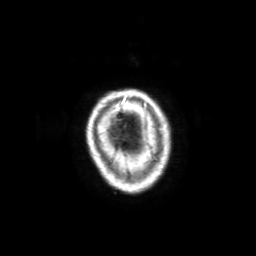
• modality: 3 Tesla brain MRI
• series: 3D T1-weighted with SENSE
• study: ring-enhancing brain masses